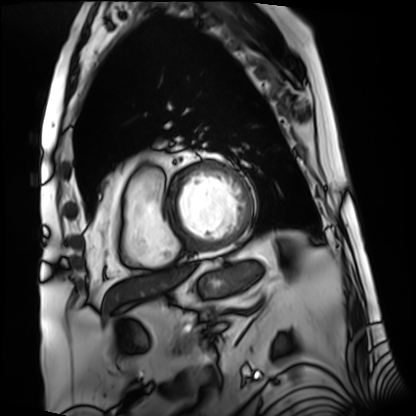
Case summary: Cardiac MRI. Subject group: patient.